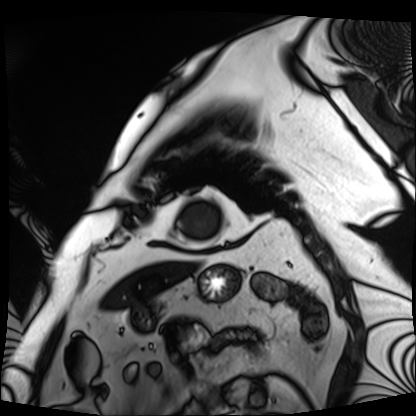
Q: What kind of scan is this?
A: Cardiac MRI.
Subject group: patient.